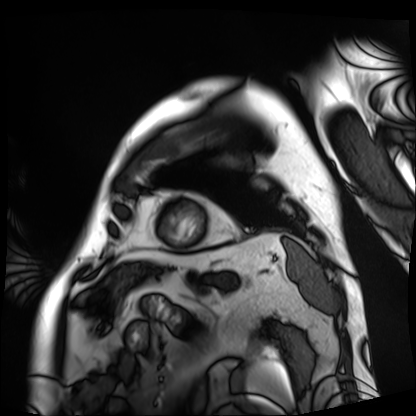
Cardiac MRI. Subject group: patient.